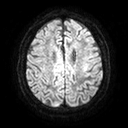
3 Tesla brain MRI. Series: diffusion tensor imaging (medium iso). Study: ring-enhancing brain masses.